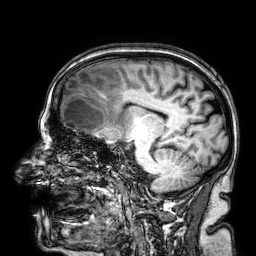
Q: What kind of scan is this?
A: 3 Tesla brain MRI.
Q: Series?
A: 3D T1-weighted.
Study: ring-enhancing brain masses.